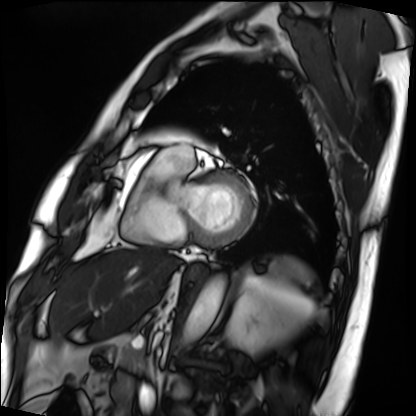
Q: What kind of scan is this?
A: Cardiac MRI.
Subject group: patient.